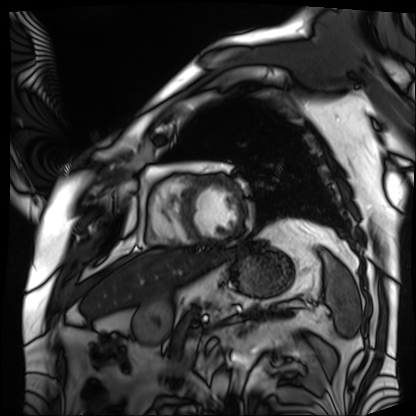
Cardiac MRI. Subject group: patient.